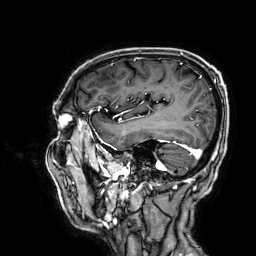
3 Tesla brain MRI.
Series: 3D T1-weighted.
Study: ring-enhancing brain masses.